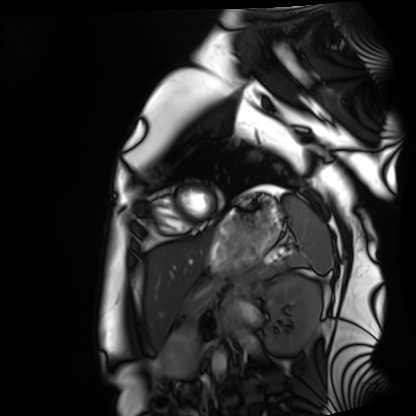
Q: What kind of scan is this?
A: Cardiac MRI.
Subject group: healthy volunteer.